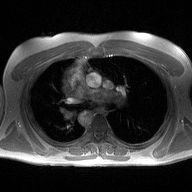
- modality: 2D phase-contrast cine MRI of the ascending aorta